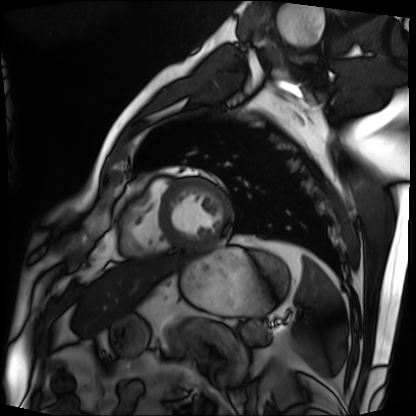
• modality · cardiac MRI
• subject group · patient